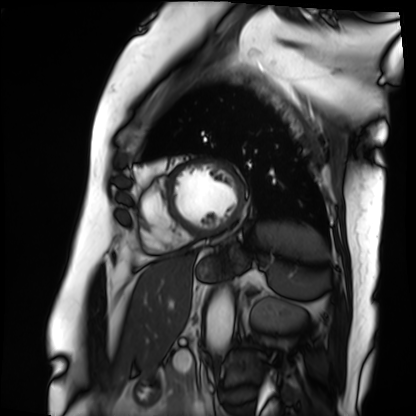
<record>
<modality>cardiac MRI</modality>
<cohort>patient</cohort>
</record>